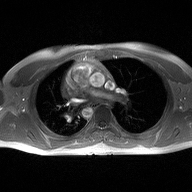
modality = 2D phase-contrast cine MRI of the ascending aorta.